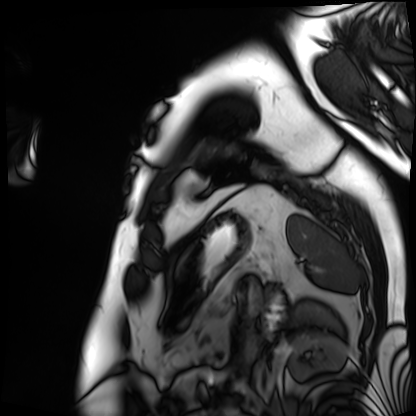
modality = cardiac MRI; subject group = patient.